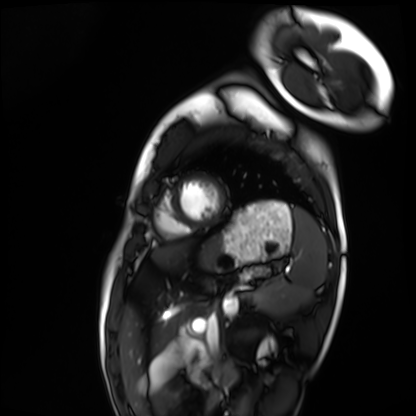
| field | value |
|---|---|
| modality | cardiac MRI |
| subject group | healthy volunteer |